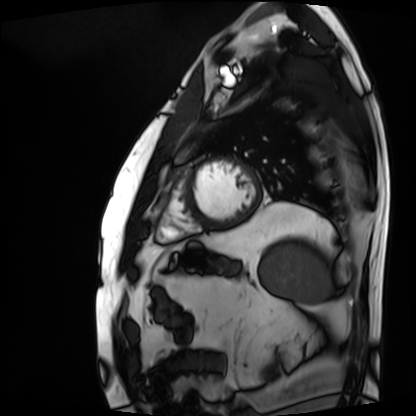
modality = cardiac MRI, subject group = patient.